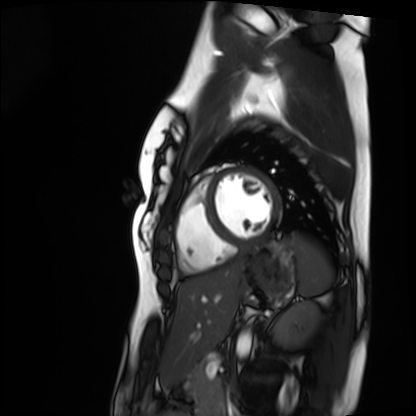
{"modality": "cardiac MRI", "cohort": "healthy volunteer"}